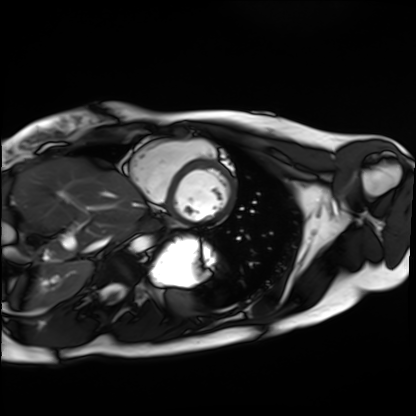
Clinical context:
Cardiac MRI. Subject group: healthy volunteer.